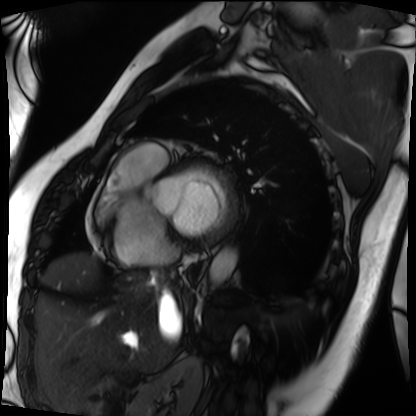
– modality: cardiac MRI
– subject group: patient